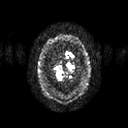
3 Tesla brain MRI. Series: diffusion tensor imaging (medium iso). Study: ring-enhancing brain masses.